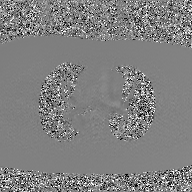
<study>
  <modality>
    <type>2D phase-contrast cine MRI</type>
    <region>ascending aorta</region>
    <reconstruction>GAN super-resolution reconstruction</reconstruction>
  </modality>
</study>